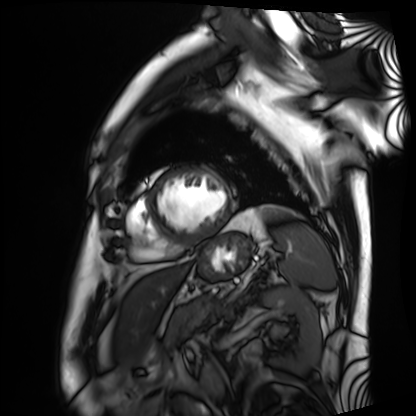
Clinical context: Cardiac MRI. Subject group: patient.